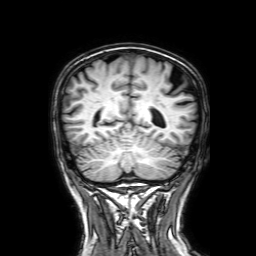
Q: What kind of scan is this?
A: 3 Tesla brain MRI.
Q: Series?
A: 3D T1-weighted with SENSE.
Study: ring-enhancing brain masses.